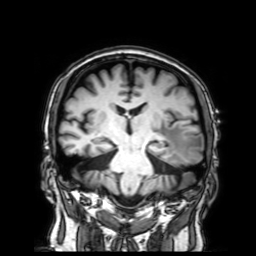
modality = 3 Tesla brain MRI
series = 3D T1-weighted with SENSE
study = ring-enhancing brain masses